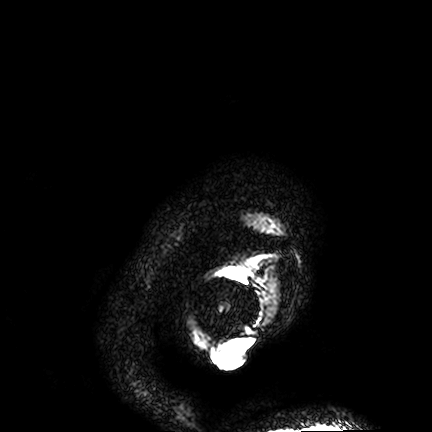
modality:
  type: brain MRI
  field_strength: 3T
series: FLAIR VISTA
study_topic: ring-enhancing brain masses